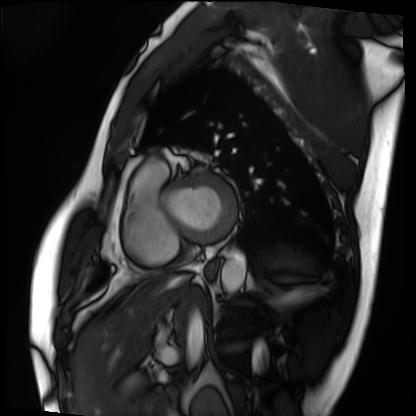
Cardiac MRI. Subject group: patient.